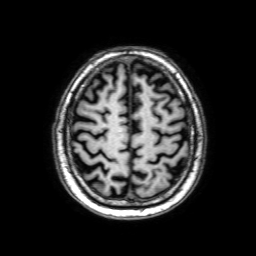
3 Tesla brain MRI.
Series: 3D T1-weighted with SENSE.
Study: ring-enhancing brain masses.